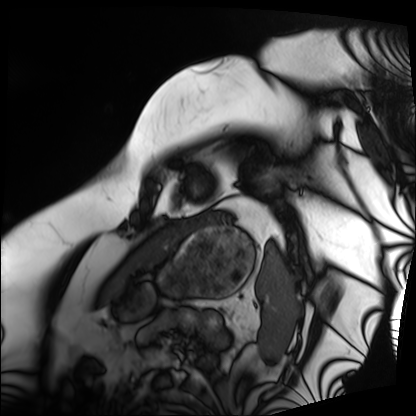
| field | value |
|---|---|
| modality | cardiac MRI |
| subject group | patient |